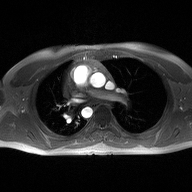
modality: 2D phase-contrast cine MRI of the ascending aorta.